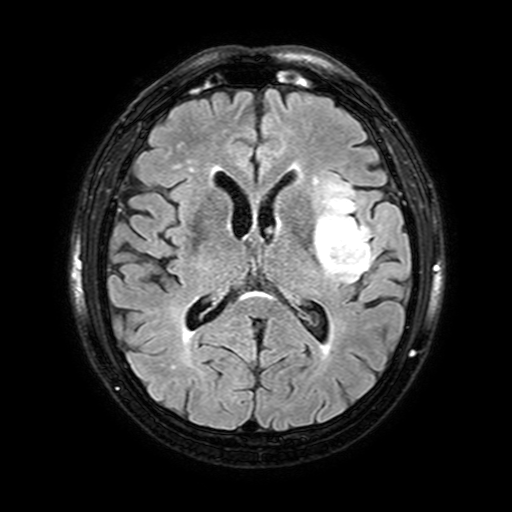
Case:
* modality: 3 Tesla brain MRI
* series: FLAIR with SPAIR, 3 mm
* study: ring-enhancing brain masses